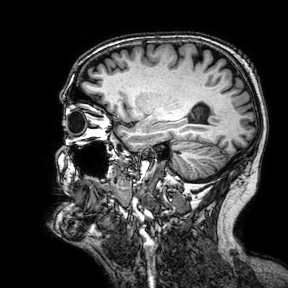
Q: What kind of scan is this?
A: 3 Tesla brain MRI.
Q: Series?
A: 3D T1-weighted turbo field echo with SENSE.
Study: ring-enhancing brain masses.